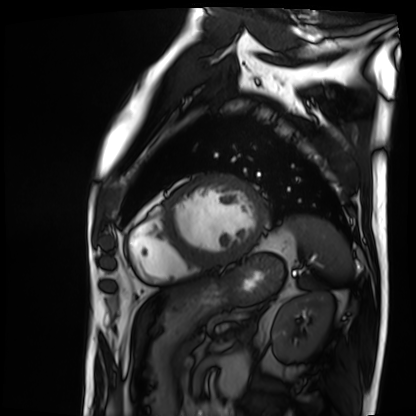
Q: What kind of scan is this?
A: Cardiac MRI.
Subject group: patient.